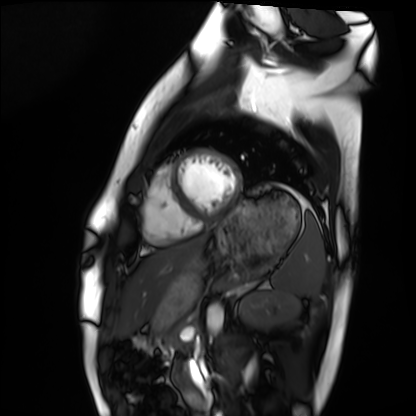
Cardiac MRI.
Subject group: healthy volunteer.